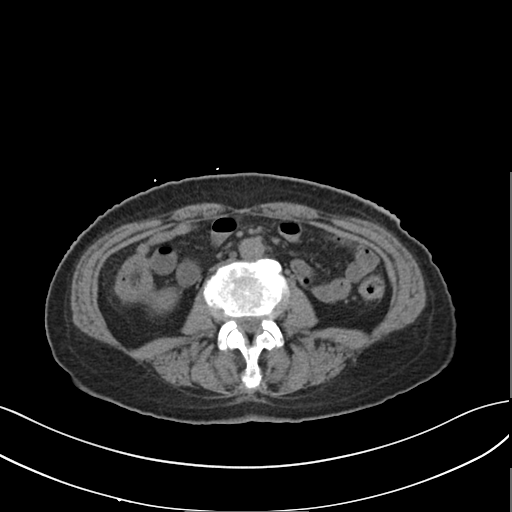
Q: What kind of scan is this?
A: Multiphase abdominal CT, liver, non-contrast phase.
Q: Patient?
A: Female, age 58.
Q: History?
A: Prior chemotherapy.